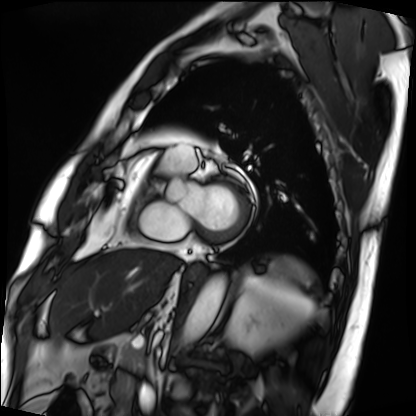
modality=cardiac MRI | subject group=patient.